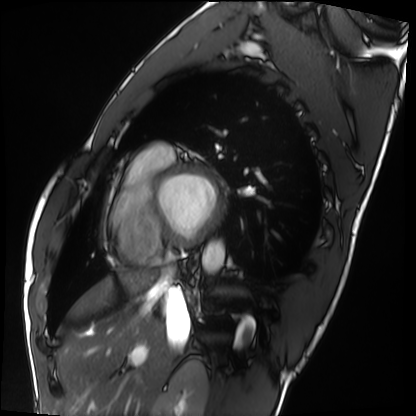
| field | value |
|---|---|
| modality | cardiac MRI |
| subject group | healthy volunteer |